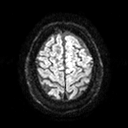
3 Tesla brain MRI. Series: diffusion tensor imaging (medium iso). Study: ring-enhancing brain masses.